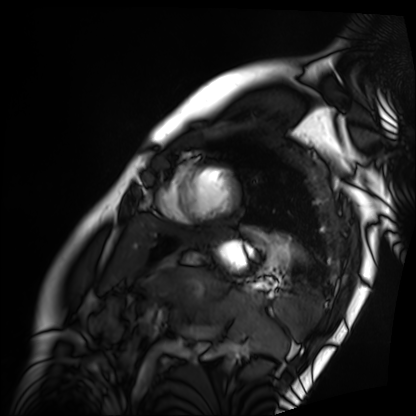
Summary:
Cardiac MRI. Subject group: patient.